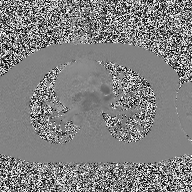
modality — 2D phase-contrast cine MRI of the ascending aorta.